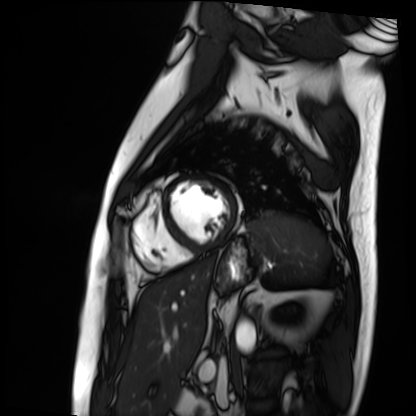
{
  "modality": "cardiac MRI",
  "cohort": "patient"
}